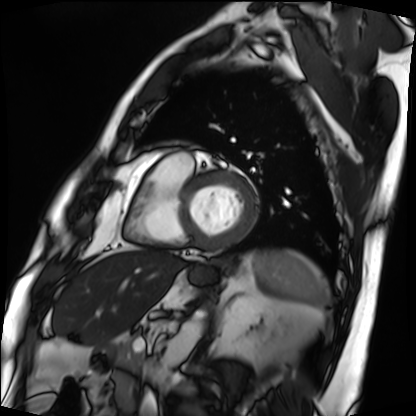
<case>
  <modality>cardiac MRI</modality>
  <cohort>patient</cohort>
</case>